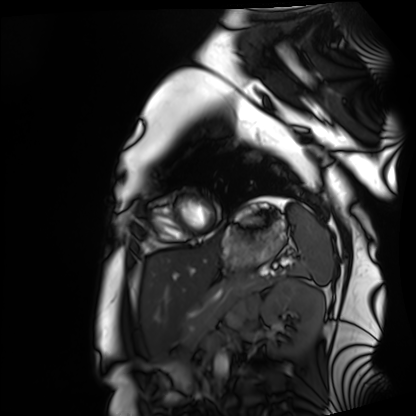
Clinical context:
Cardiac MRI. Subject group: healthy volunteer.